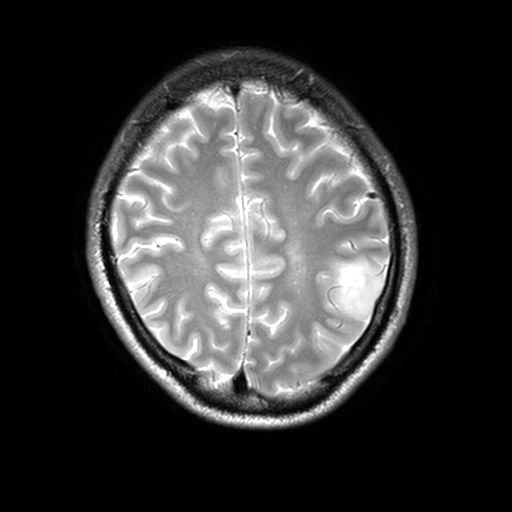
| field | value |
|---|---|
| modality | 3 Tesla brain MRI |
| series | T2-weighted turbo spin echo, 3 mm |
| study | ring-enhancing brain masses |